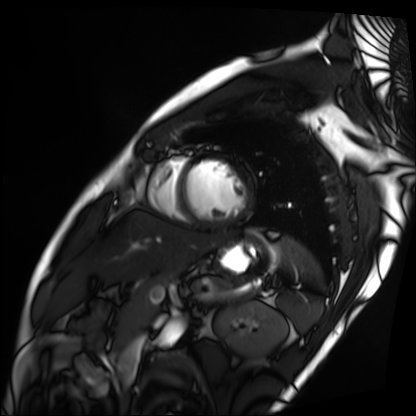
Cardiac MRI.
Subject group: patient.